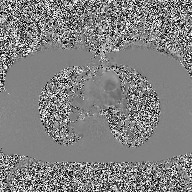
2D phase-contrast cine MRI of the ascending aorta, high-resolution GRAPPA acquisition.